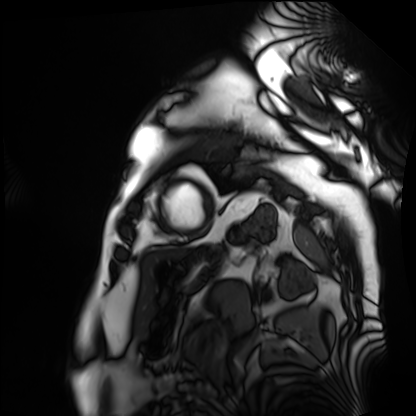
Cardiac MRI.
Subject group: patient.